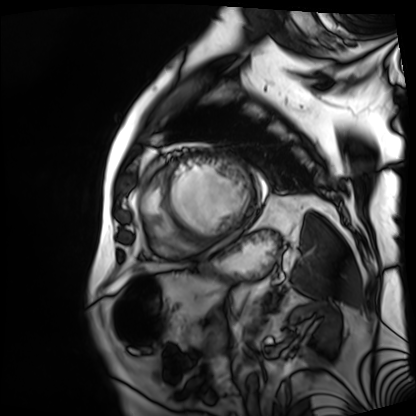
- modality: cardiac MRI
- subject group: patient